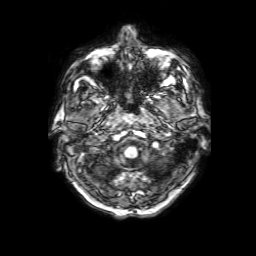
modality: 3 Tesla brain MRI
series: 3D T1-weighted with SENSE
study: ring-enhancing brain masses